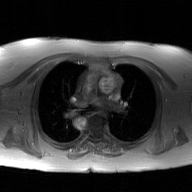
2D phase-contrast cine MRI of the ascending aorta, GAN super-resolution reconstruction.